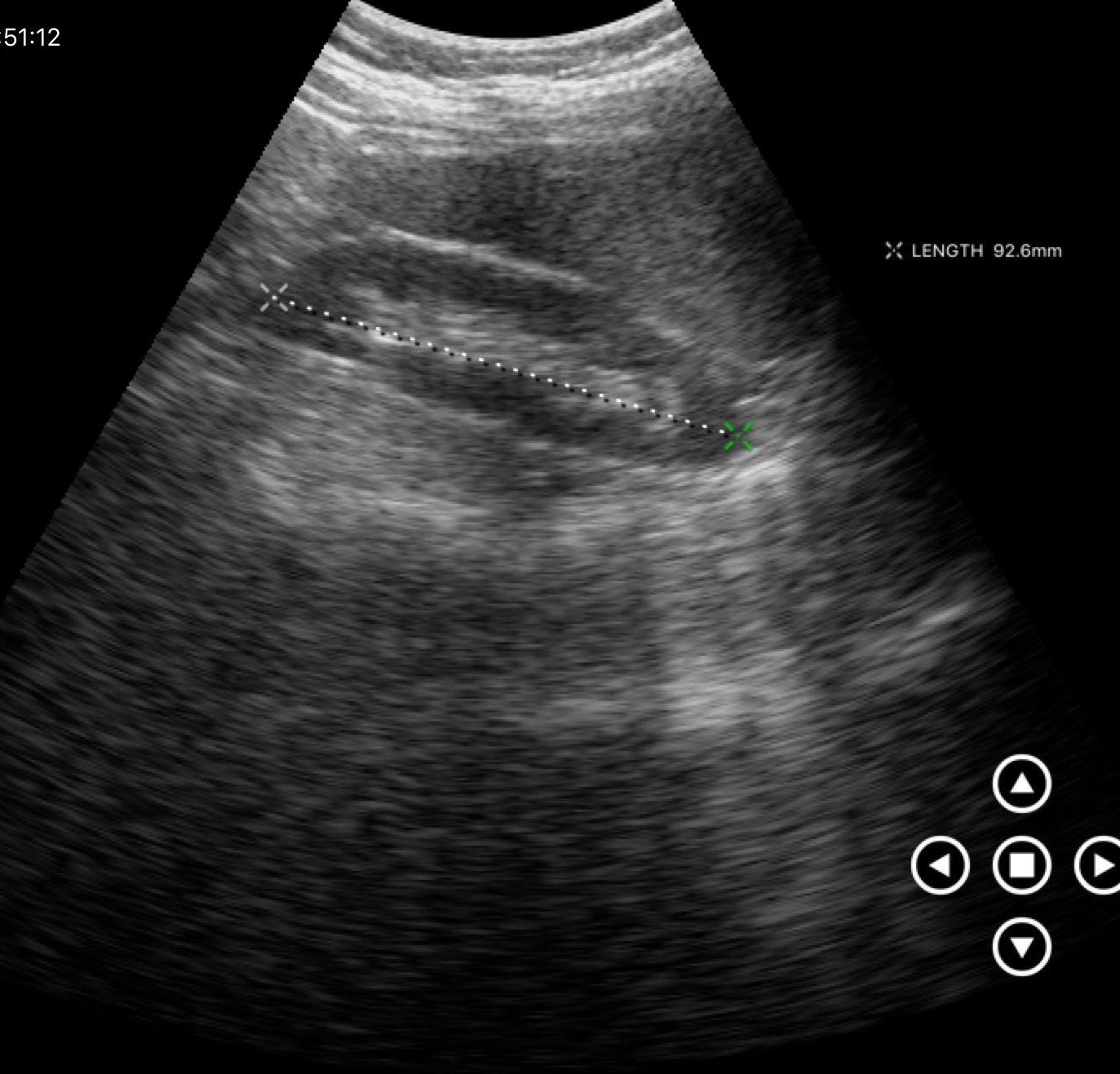
Case:
– modality — genitourinary ultrasound